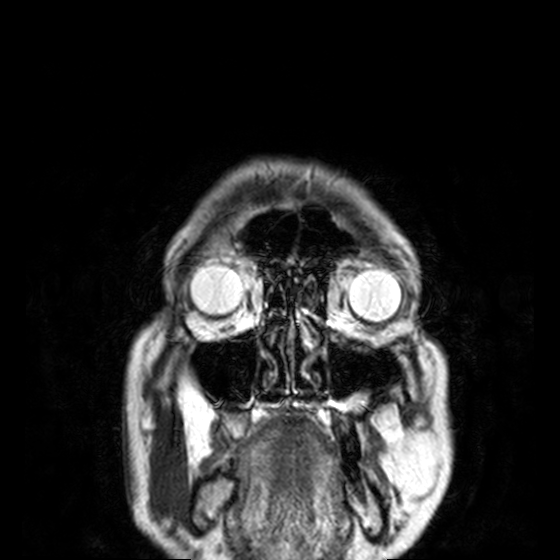
3 Tesla brain MRI. Study: ring-enhancing brain masses.